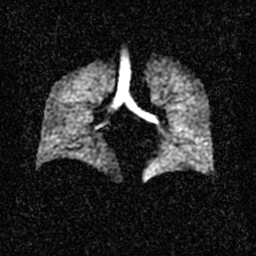
Hyperpolarized 129Xe ventilation MRI of the lungs. SNR level 2 of 8 (the deposit holds this scan as its native image and as seven SNR-degraded versions).